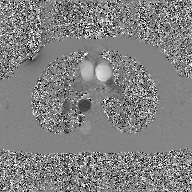
Summary: 2D phase-contrast cine MRI of the ascending aorta, GAN super-resolution reconstruction.